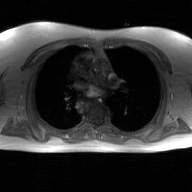
modality = 2D phase-contrast cine MRI of the ascending aorta, GAN super-resolution reconstruction.